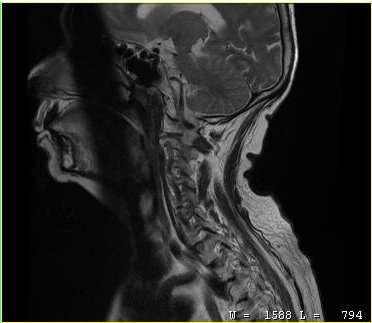
<case>
  <modality>
    <type>cervical spine MRI</type>
  </modality>
  <study_topic>cervical spondylosis</study_topic>
</case>